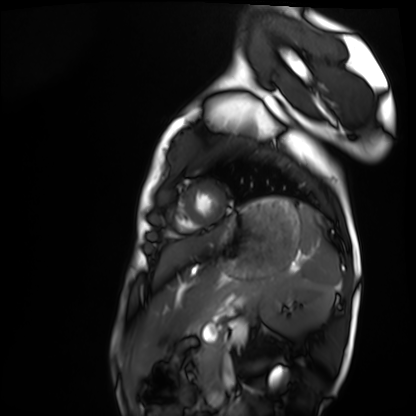
• modality: cardiac MRI
• subject group: healthy volunteer